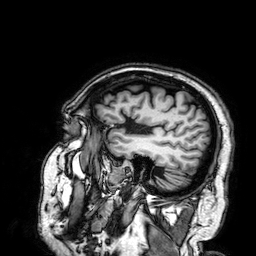
modality: 3 Tesla brain MRI; series: 3D T1-weighted; study: ring-enhancing brain masses.